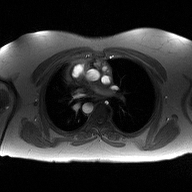
2D phase-contrast cine MRI of the ascending aorta, high-resolution GRAPPA acquisition.